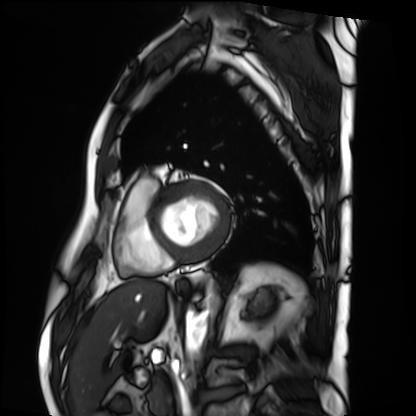
Summary:
Cardiac MRI. Subject group: patient.